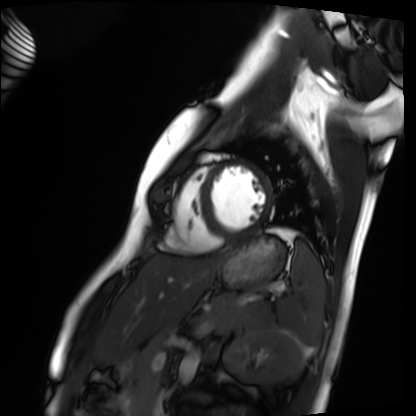
Summary: Cardiac MRI. Subject group: healthy volunteer.